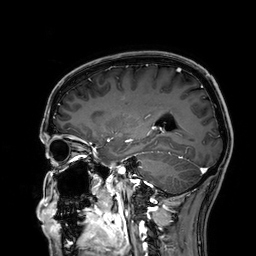
{"modality": {"type": "brain MRI", "field_strength": "3T"}, "series": "3D T1-weighted", "study_topic": "ring-enhancing brain masses"}